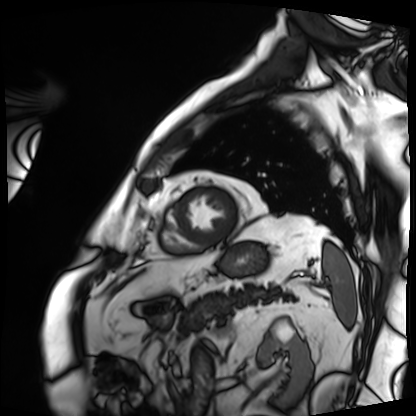
Cardiac MRI.
Subject group: patient.